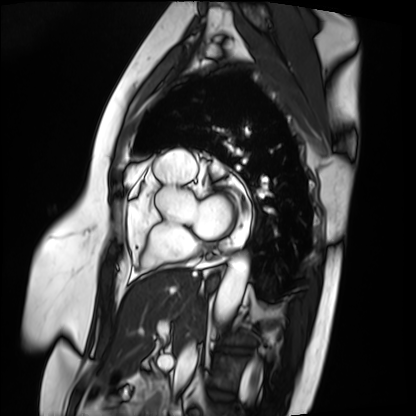
Case summary:
Cardiac MRI. Subject group: patient.